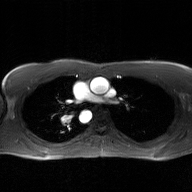
modality = 2D phase-contrast cine MRI of the ascending aorta, GAN super-resolution reconstruction.